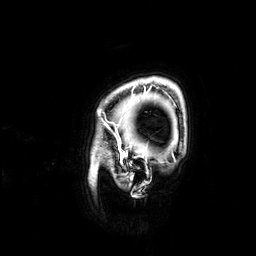
3 Tesla brain MRI.
Series: 3D T1-weighted.
Study: ring-enhancing brain masses.